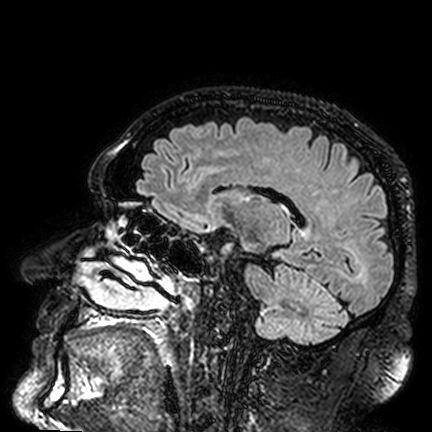
Case:
* modality — 3 Tesla brain MRI
* series — FLAIR VISTA
* study — ring-enhancing brain masses